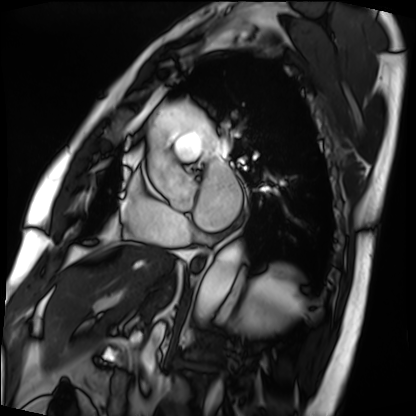
– modality — cardiac MRI
– subject group — patient